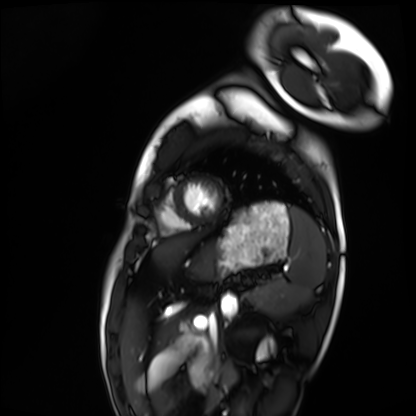
modality=cardiac MRI | subject group=healthy volunteer.